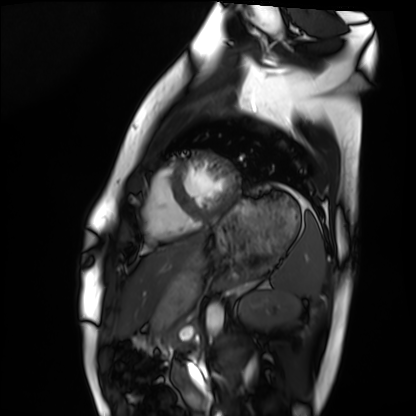
Cardiac MRI.
Subject group: healthy volunteer.